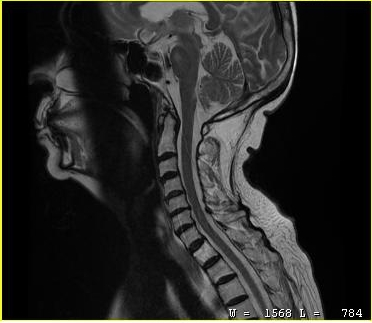
{
  "modality": {
    "type": "cervical spine MRI"
  },
  "study_topic": "cervical spondylosis"
}